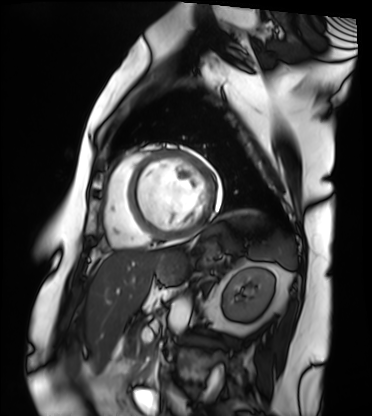
Case:
• modality: cardiac MRI
• subject group: patient